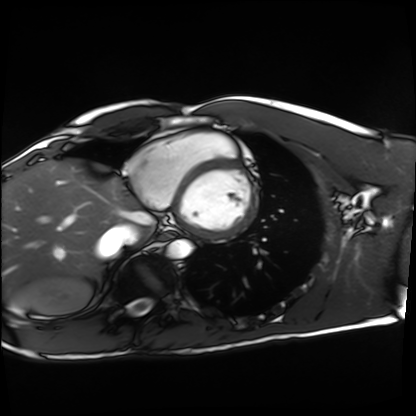
Q: What kind of scan is this?
A: Cardiac MRI.
Subject group: healthy volunteer.